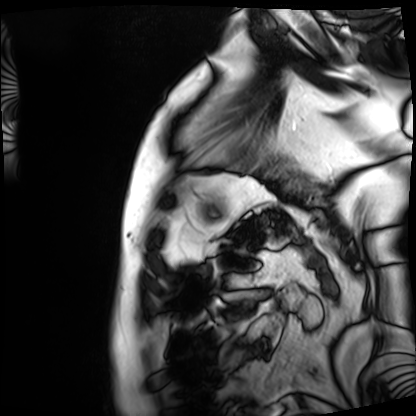
| field | value |
|---|---|
| modality | cardiac MRI |
| subject group | patient |